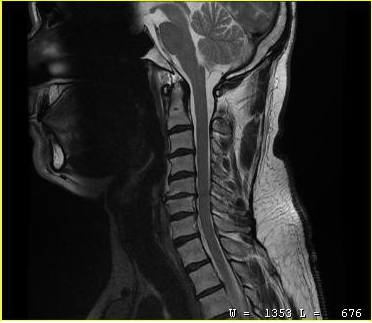
MRI of the cervical spine. Study: cervical spondylosis.